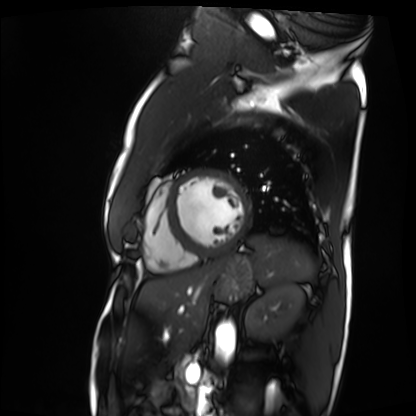
– modality — cardiac MRI
– subject group — patient